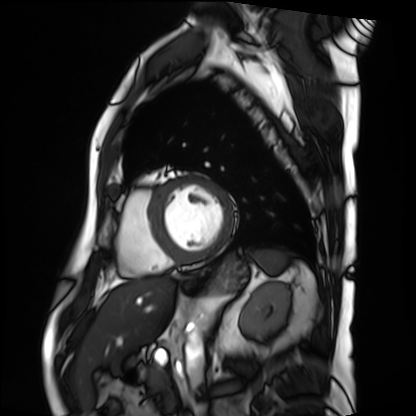
Cardiac MRI.
Subject group: patient.